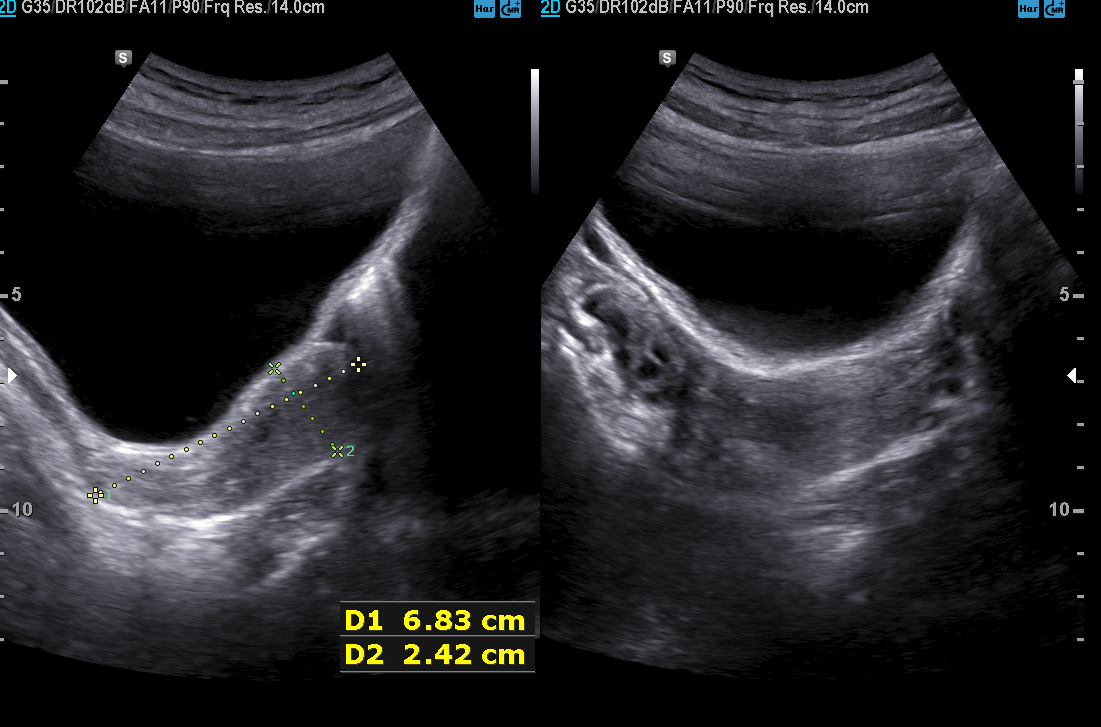
Genitourinary ultrasound.